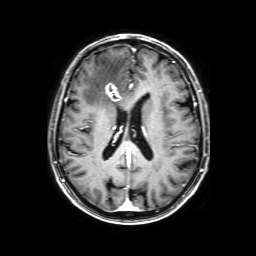
Q: What kind of scan is this?
A: 3 Tesla brain MRI.
Q: Series?
A: 3D T1-weighted with SENSE.
Study: ring-enhancing brain masses.